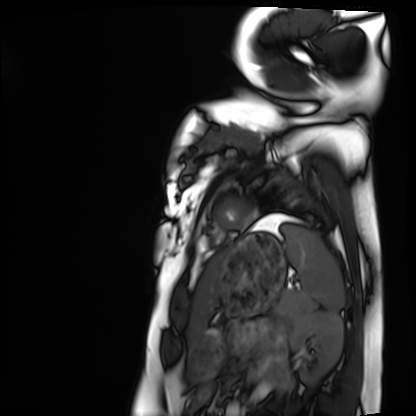
Clinical context: Cardiac MRI. Subject group: healthy volunteer.